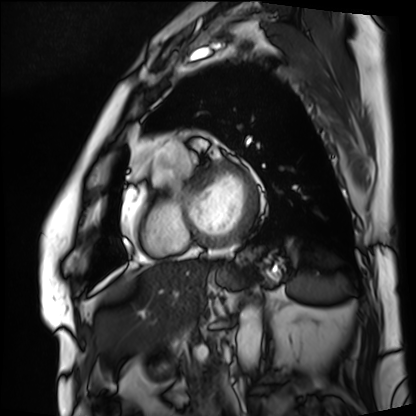
Q: What kind of scan is this?
A: Cardiac MRI.
Subject group: patient.